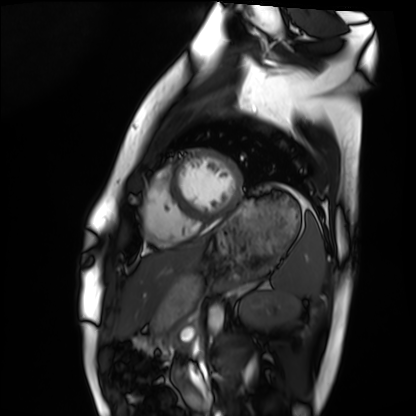
- modality · cardiac MRI
- subject group · healthy volunteer